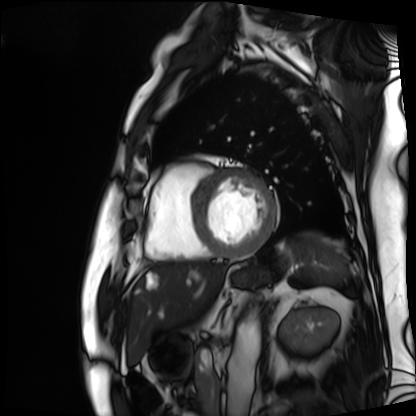
Cardiac MRI.
Subject group: patient.